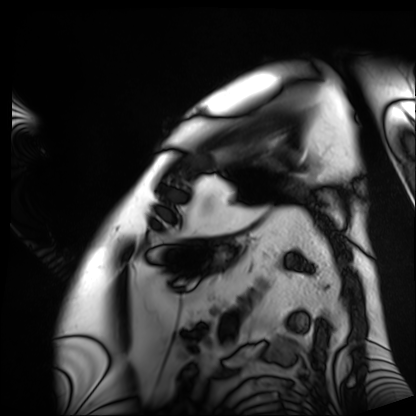
Cardiac MRI.
Subject group: patient.